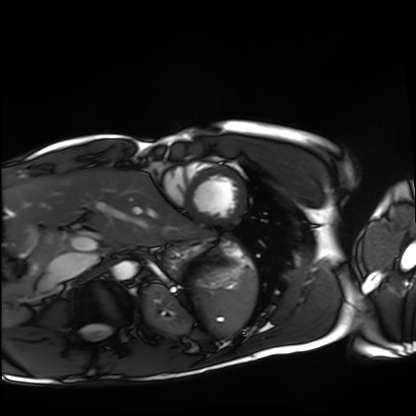
Case:
- modality · cardiac MRI
- subject group · healthy volunteer